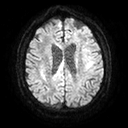
modality = 3 Tesla brain MRI | series = diffusion tensor imaging (medium iso) | study = ring-enhancing brain masses.